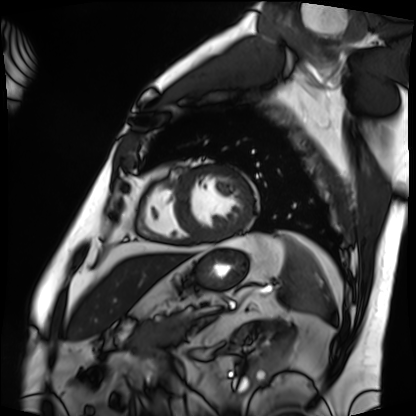
Cardiac MRI. Subject group: patient.